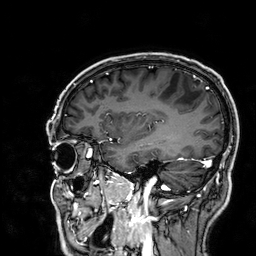
Q: What kind of scan is this?
A: 3 Tesla brain MRI.
Q: Series?
A: 3D T1-weighted.
Study: ring-enhancing brain masses.